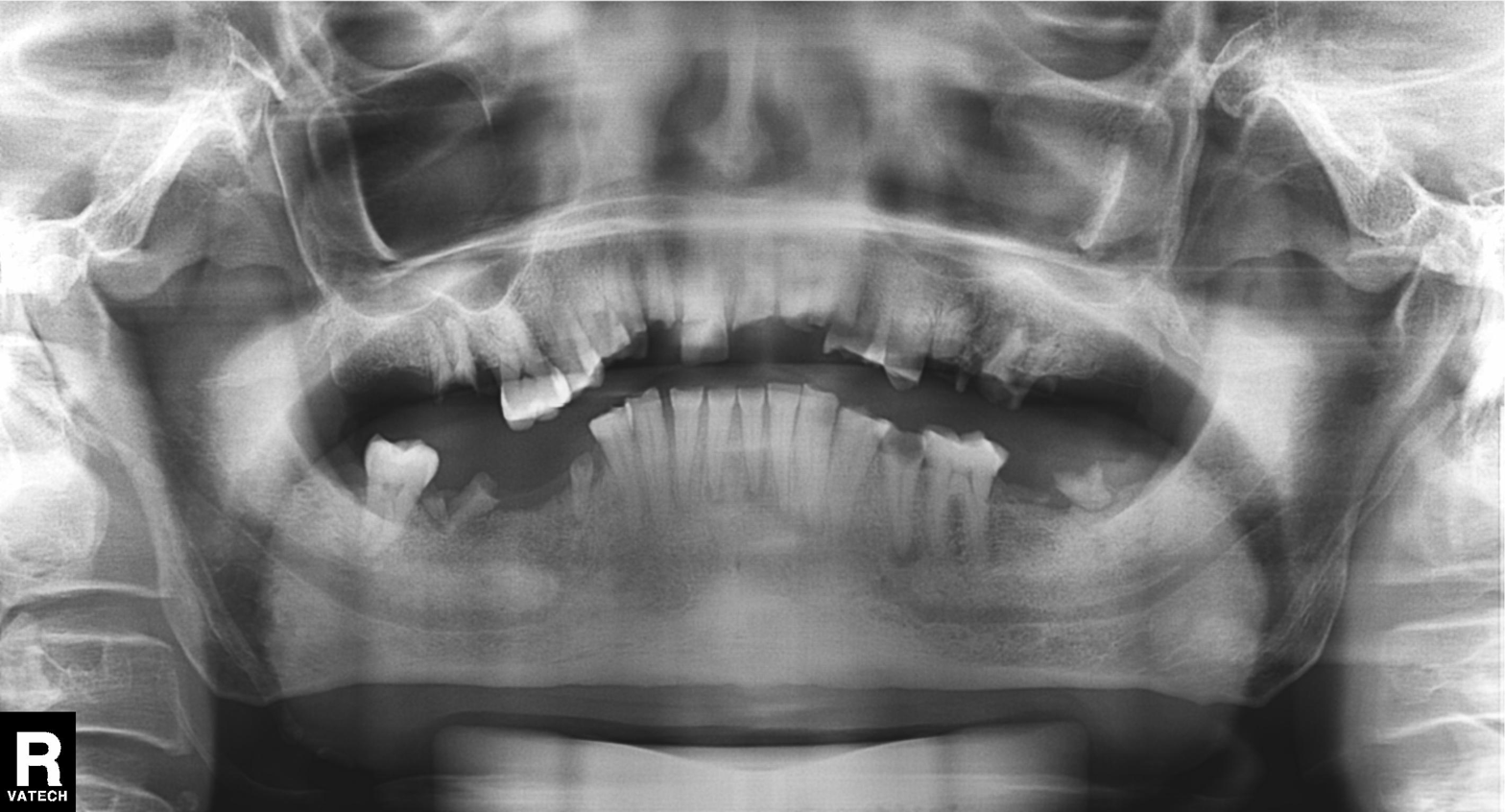
Case summary: Panoramic dental radiograph (orthopantomogram).
Assessment: Alveolar bone loss.